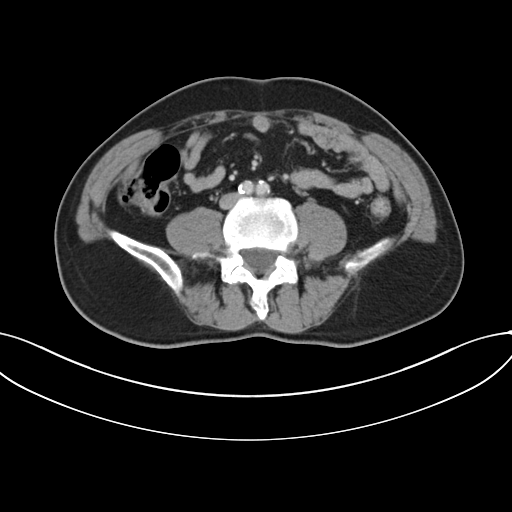
| field | value |
|---|---|
| modality | multiphase abdominal CT, liver, portal venous phase |
| patient | male, age 55 |
| history | viral hepatitis |